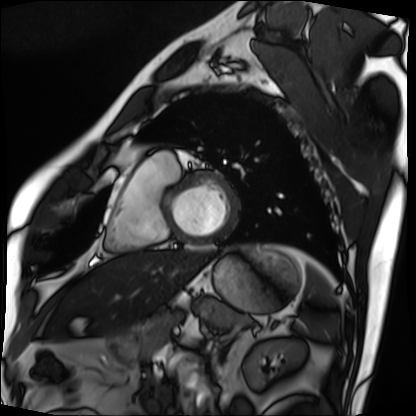
Cardiac MRI.
Subject group: patient.